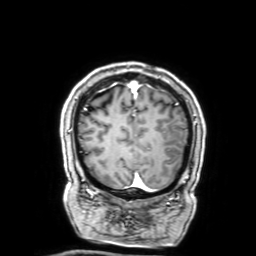
{
  "modality": {
    "type": "brain MRI",
    "field_strength": "3T"
  },
  "series": "3D T1-weighted with SENSE",
  "study_topic": "ring-enhancing brain masses"
}